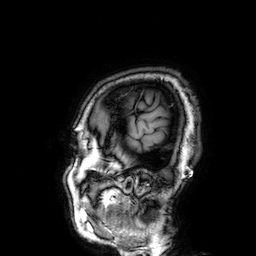
3 Tesla brain MRI. Series: 3D T1-weighted. Study: ring-enhancing brain masses.